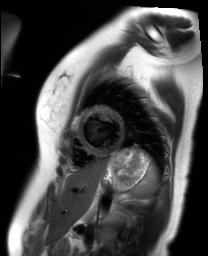
Summary:
Cardiac MR image of the myocardium. Subject cohort: healthy volunteer.